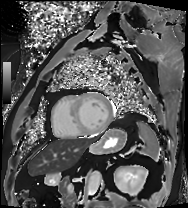
Q: What kind of scan is this?
A: Cardiac MRI.
Subject group: patient.